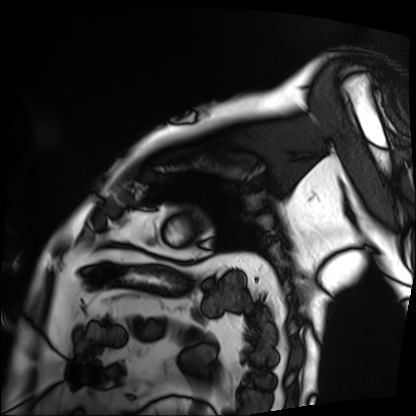
Cardiac MRI. Subject group: patient.